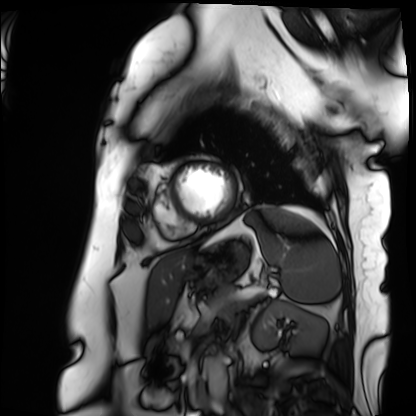
{"modality": "cardiac MRI", "cohort": "patient"}